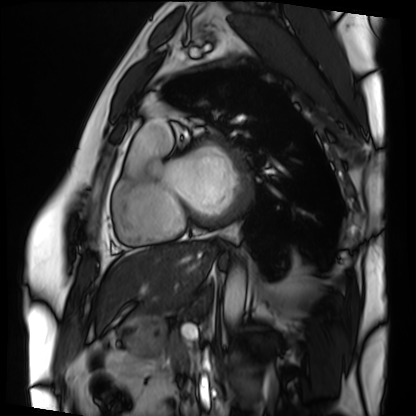
Case:
• modality — cardiac MRI
• subject group — patient